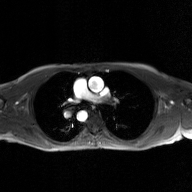
2D phase-contrast cine MRI of the ascending aorta, GAN super-resolution reconstruction.